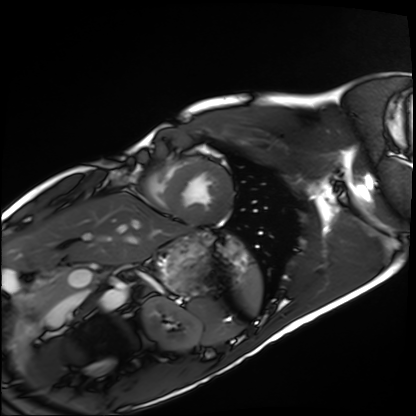
| field | value |
|---|---|
| modality | cardiac MRI |
| subject group | healthy volunteer |